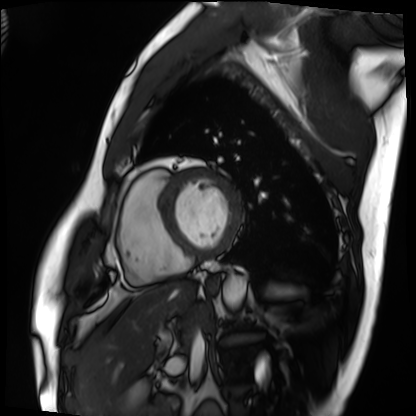
modality: cardiac MRI, subject group: patient.